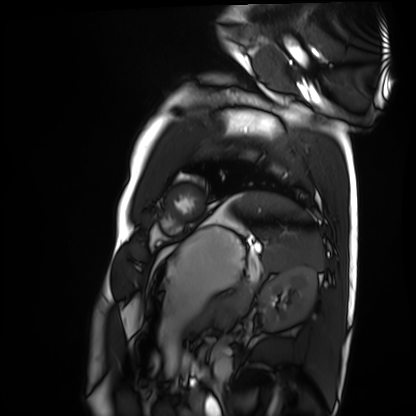
Summary: Cardiac MRI. Subject group: healthy volunteer.